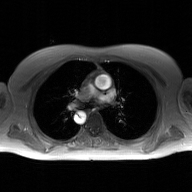
– modality · 2D phase-contrast cine MRI of the ascending aorta, GAN super-resolution reconstruction